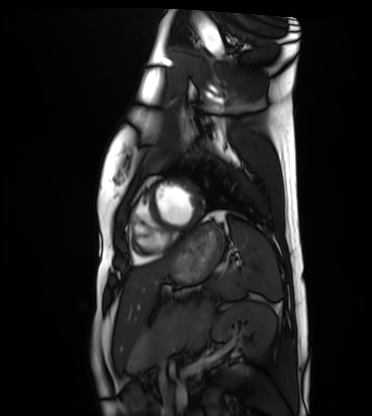
modality=cardiac MRI
subject group=healthy volunteer